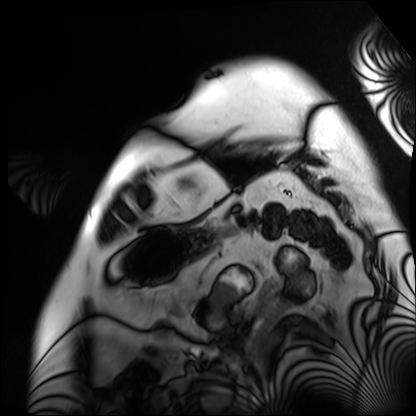
Cardiac MRI. Subject group: patient.